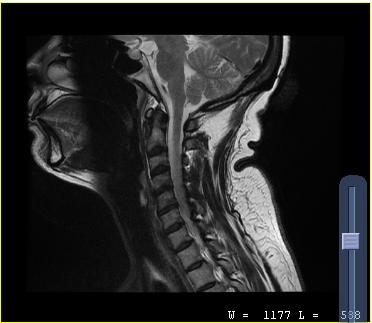
MRI of the cervical spine.
Study: cervical spondylosis.